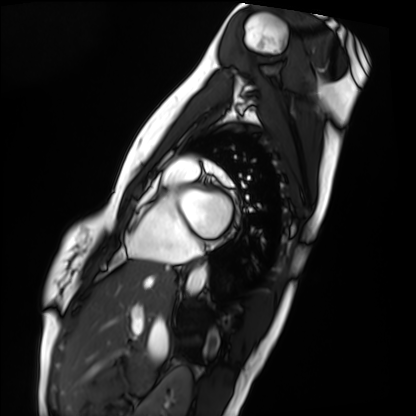
Cardiac MRI.
Subject group: healthy volunteer.